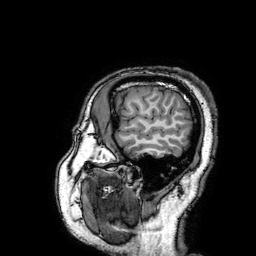
<case>
<modality>
  <type>brain MRI</type>
  <field_strength>3T</field_strength>
</modality>
<series>3D T1-weighted turbo field echo with SENSE</series>
<study_topic>ring-enhancing brain masses</study_topic>
</case>